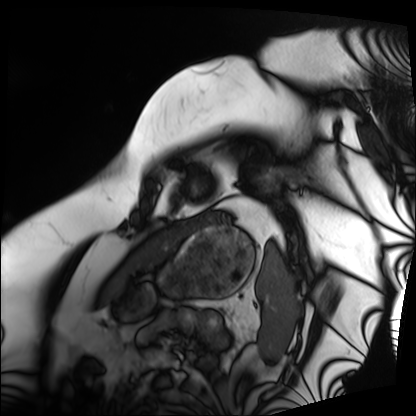
modality: cardiac MRI
cohort: patient